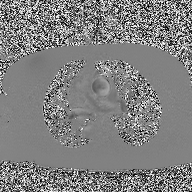
Summary:
2D phase-contrast cine MRI of the ascending aorta, high-resolution GRAPPA acquisition.